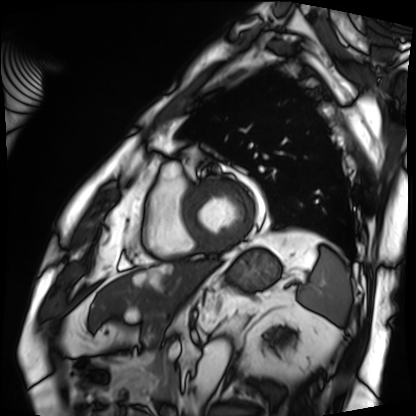
Cardiac MRI.
Subject group: patient.